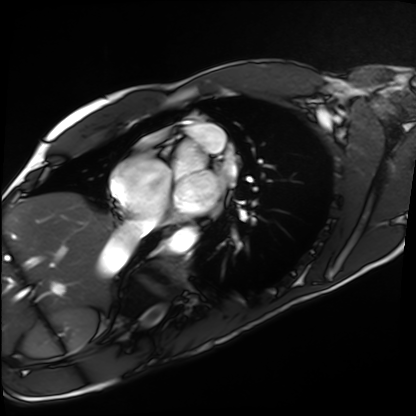
| field | value |
|---|---|
| modality | cardiac MRI |
| subject group | healthy volunteer |